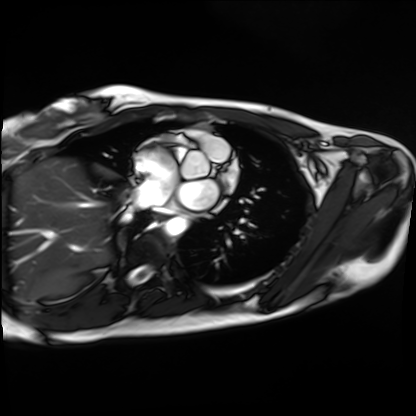
modality = cardiac MRI, subject group = healthy volunteer.